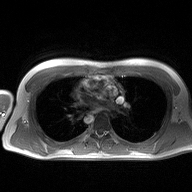
Clinical context:
2D phase-contrast cine MRI of the ascending aorta, high-resolution GRAPPA acquisition.